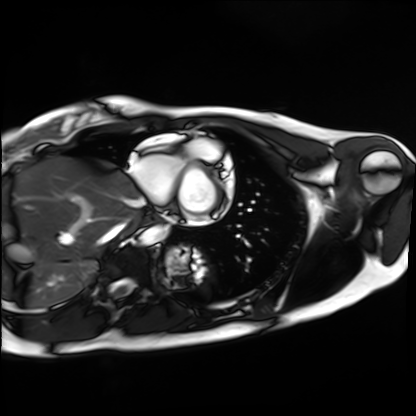
Summary:
Cardiac MRI. Subject group: healthy volunteer.